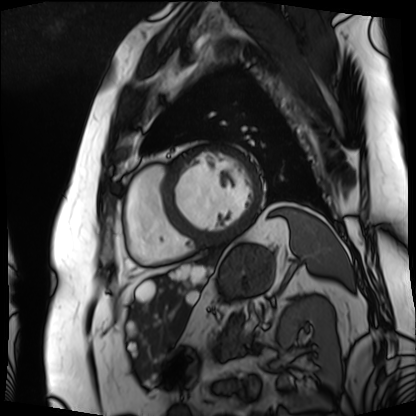
Summary:
Cardiac MRI. Subject group: patient.